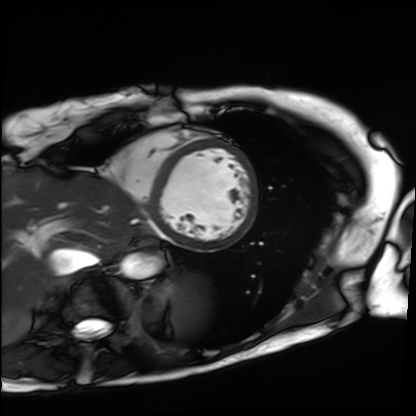
Q: What kind of scan is this?
A: Cardiac MRI.
Subject group: patient.